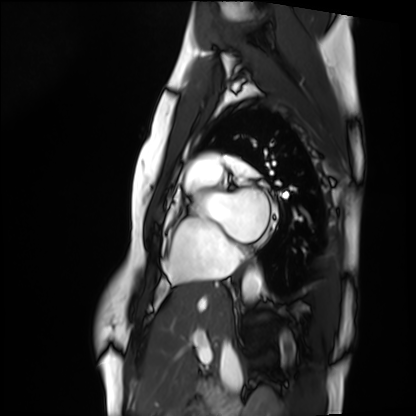
Summary: Cardiac MRI. Subject group: healthy volunteer.